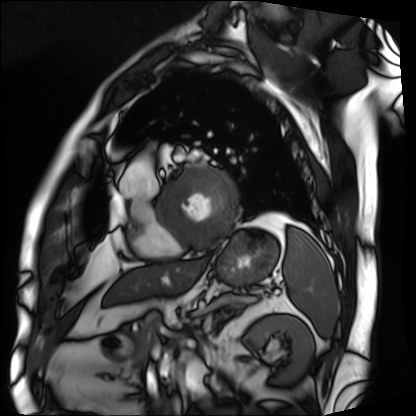
Summary: Cardiac MRI. Subject group: patient.